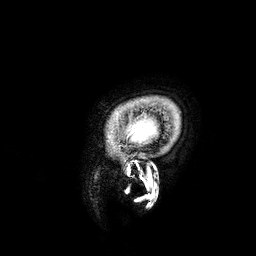
3 Tesla brain MRI.
Series: 3D T1-weighted.
Study: ring-enhancing brain masses.